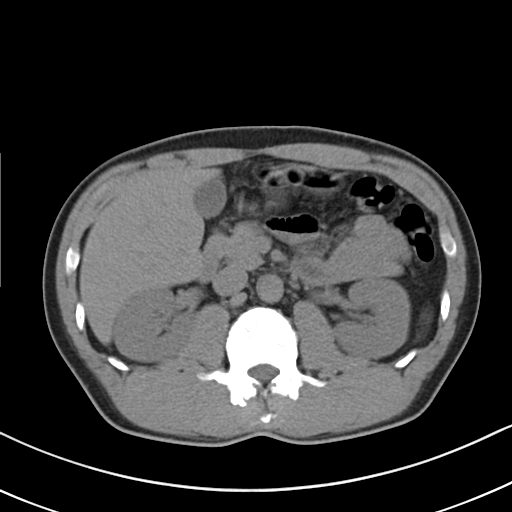
Multiphase abdominal CT, liver, non-contrast phase.
Patient: male, age 54.
History: cirrhosis, viral hepatitis.